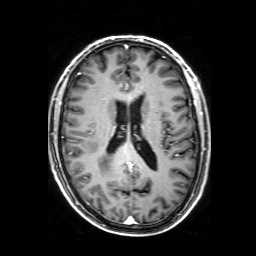
3 Tesla brain MRI.
Series: 3D T1-weighted with SENSE.
Study: ring-enhancing brain masses.